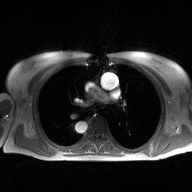
– modality — 2D phase-contrast cine MRI of the ascending aorta